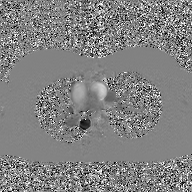
<record>
  <modality>
    <type>2D phase-contrast cine MRI</type>
    <region>ascending aorta</region>
    <reconstruction>GAN super-resolution reconstruction</reconstruction>
  </modality>
</record>